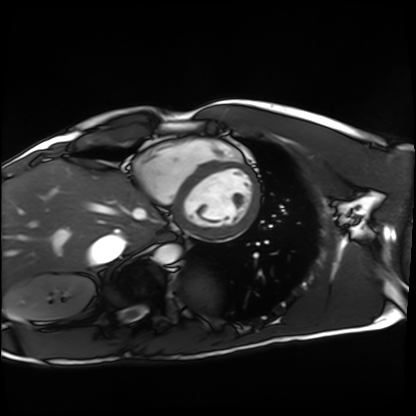
modality: cardiac MRI | subject group: healthy volunteer.